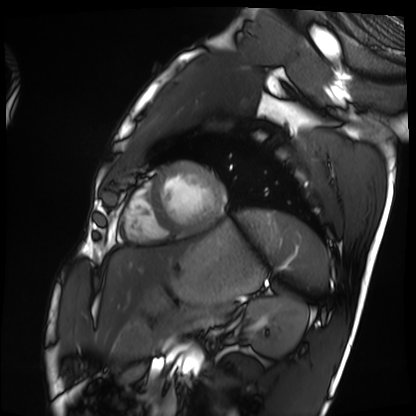
Q: What kind of scan is this?
A: Cardiac MRI.
Subject group: healthy volunteer.